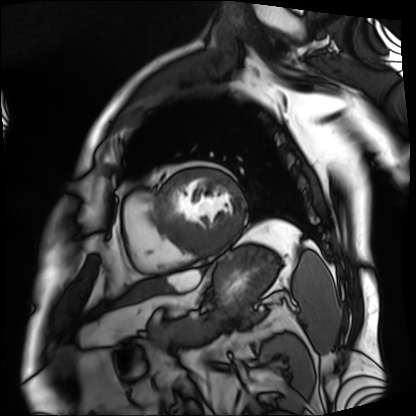
– modality: cardiac MRI
– subject group: patient